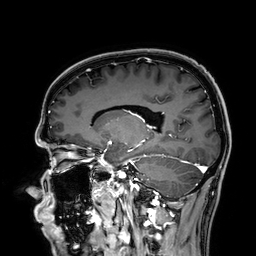
– modality: 3 Tesla brain MRI
– series: 3D T1-weighted
– study: ring-enhancing brain masses